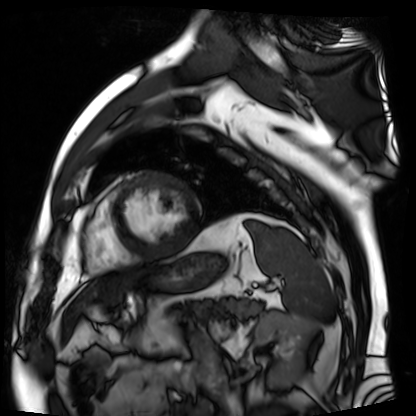
Summary:
Cardiac MR image of the myocardium. Subject cohort: cardiac patient.